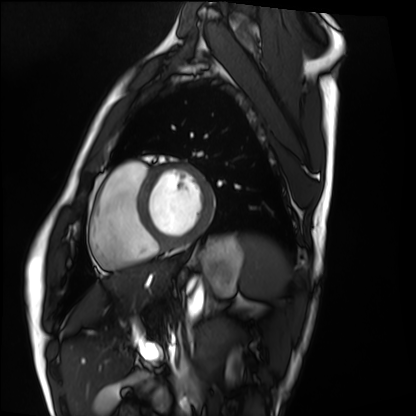
Cardiac MRI. Subject group: healthy volunteer.